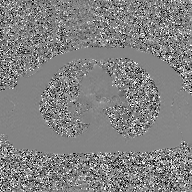
Summary: 2D phase-contrast cine MRI of the ascending aorta, GAN super-resolution reconstruction.